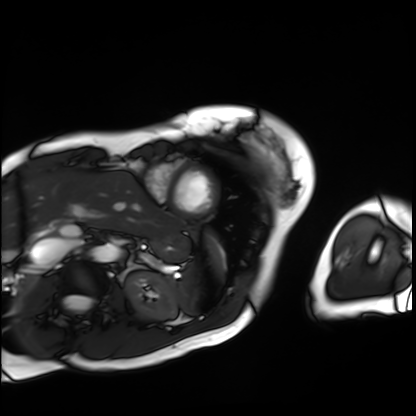
Cardiac MRI. Subject group: patient.